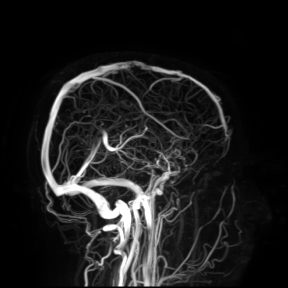
modality: 3 Tesla brain MRI
study: ring-enhancing brain masses